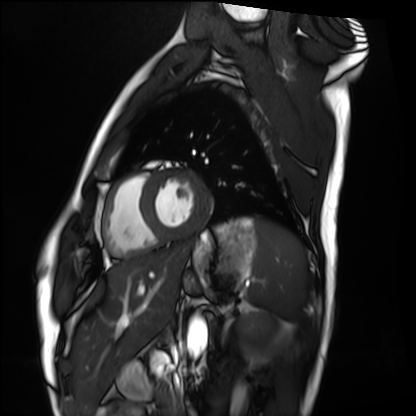
modality: cardiac MRI; subject group: healthy volunteer.